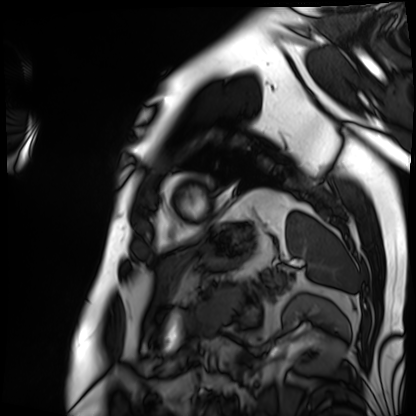
modality = cardiac MRI, subject group = patient.